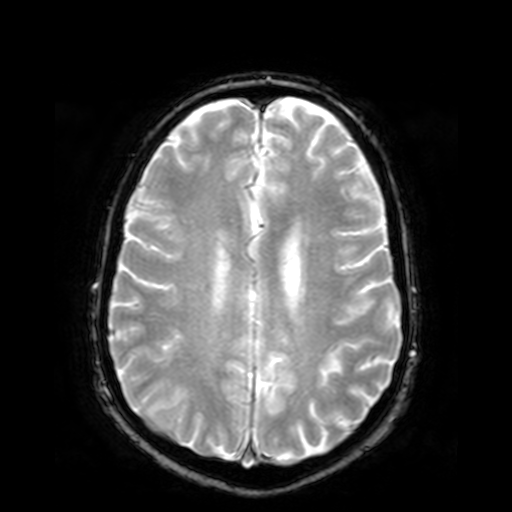
3 Tesla brain MRI. Series: T2-weighted fast field echo. Study: ring-enhancing brain masses.